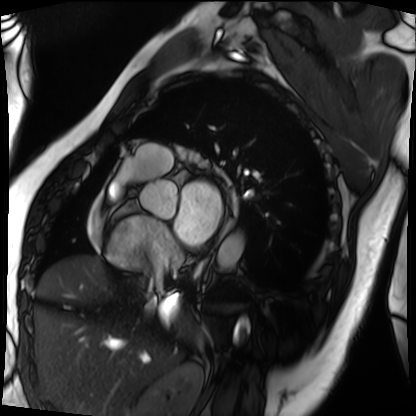
modality — cardiac MRI
subject group — patient